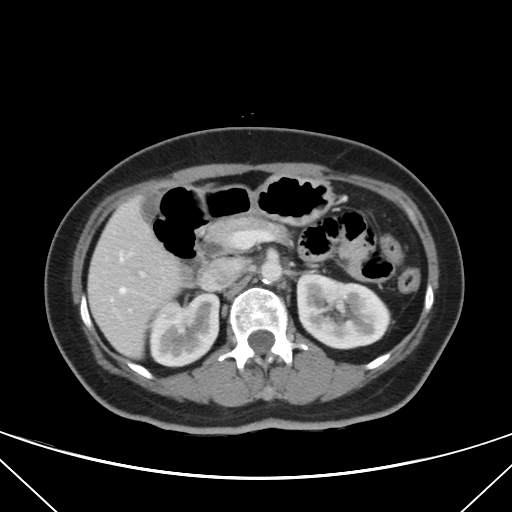
Multiphase abdominal CT, liver, portal venous phase. Patient: female, age 56. History: viral hepatitis.